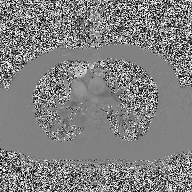
Q: What kind of scan is this?
A: 2D phase-contrast cine MRI of the ascending aorta.